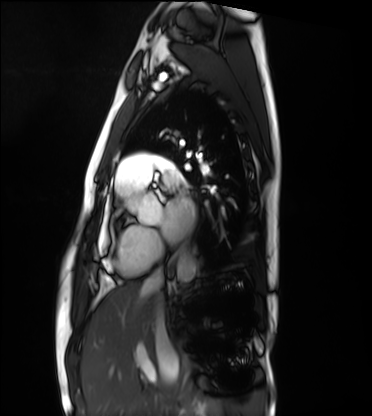
Cardiac MRI. Subject group: healthy volunteer.